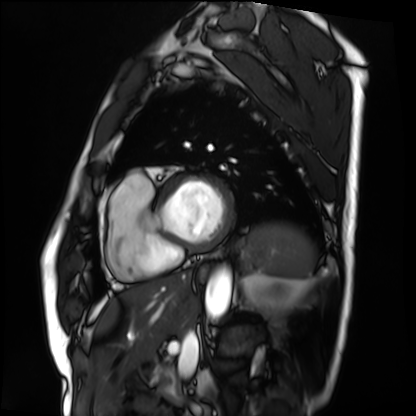
Clinical context:
Cardiac MRI. Subject group: patient.